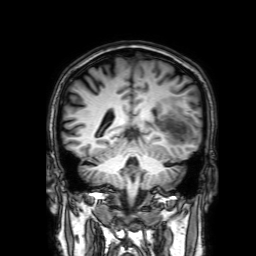
{
  "modality": {
    "type": "brain MRI",
    "field_strength": "3T"
  },
  "series": "3D T1-weighted with SENSE",
  "study_topic": "ring-enhancing brain masses"
}